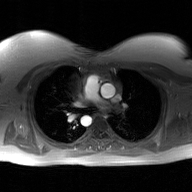
2D phase-contrast cine MRI of the ascending aorta, GAN super-resolution reconstruction.